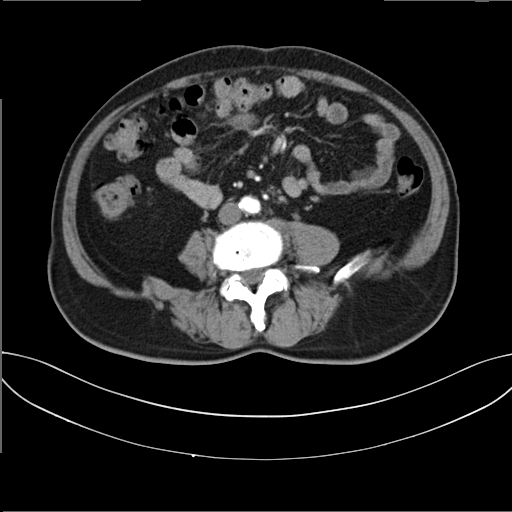
modality: multiphase abdominal CT, liver, arterial phase; patient: male, age 62.